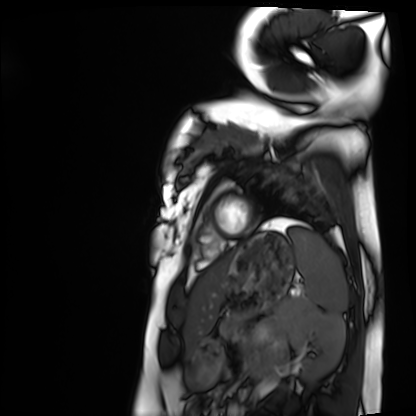
Summary: Cardiac MRI. Subject group: healthy volunteer.